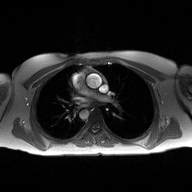
2D phase-contrast cine MRI of the ascending aorta, high-resolution GRAPPA acquisition.